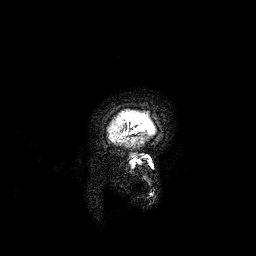
Clinical context: 3 Tesla brain MRI. Series: 3D T1-weighted. Study: ring-enhancing brain masses.